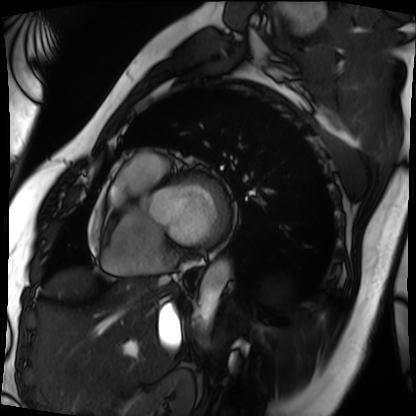
Q: What kind of scan is this?
A: Cardiac MRI.
Subject group: patient.